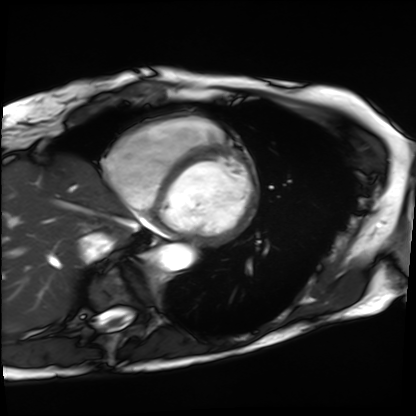
Cardiac MRI. Subject group: patient.